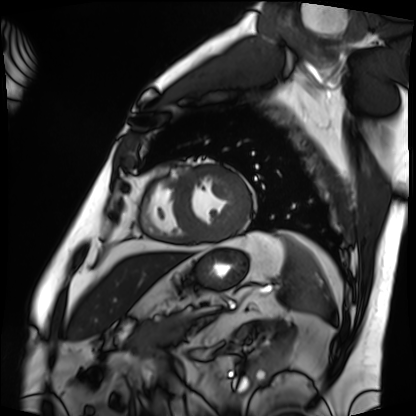
Q: What kind of scan is this?
A: Cardiac MRI.
Subject group: patient.